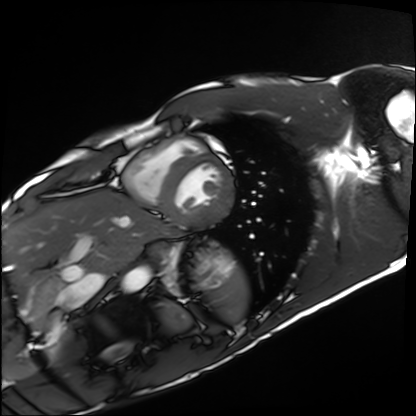
modality = cardiac MRI | subject group = healthy volunteer.